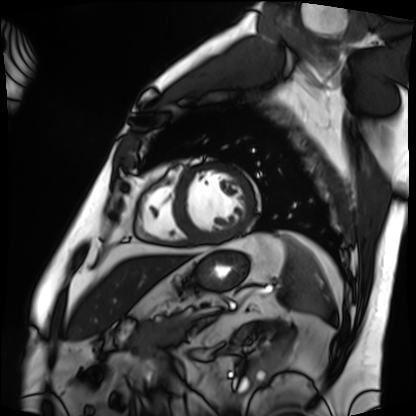
Q: What kind of scan is this?
A: Cardiac MRI.
Subject group: patient.